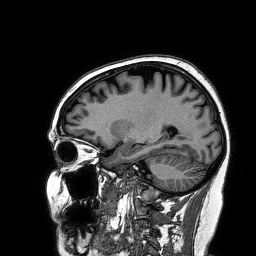
3 Tesla brain MRI.
Series: 3D T1-weighted turbo field echo.
Study: ring-enhancing brain masses.